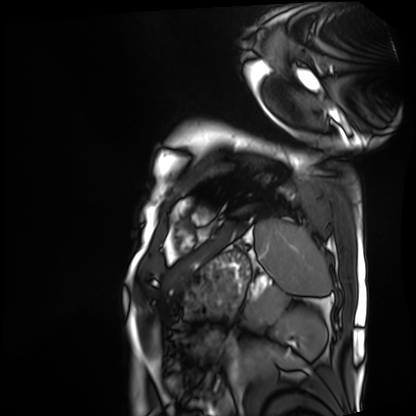
modality = cardiac MRI, subject group = patient.